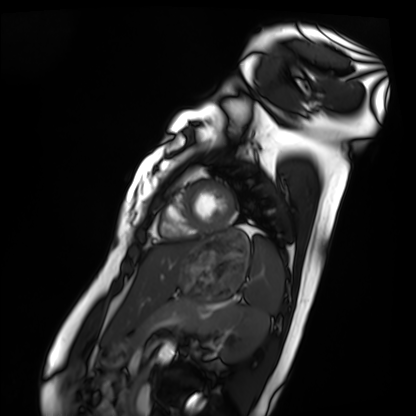
Cardiac MRI. Subject group: healthy volunteer.